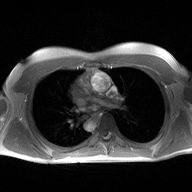
Summary:
2D phase-contrast cine MRI of the ascending aorta, high-resolution GRAPPA acquisition.